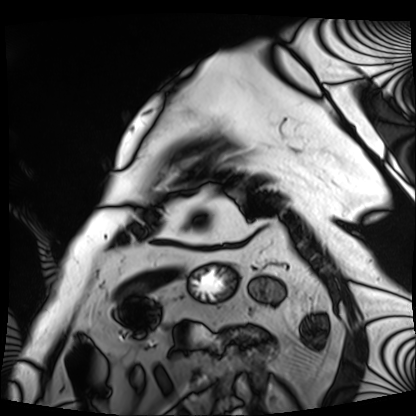
* modality: cardiac MRI
* subject group: patient